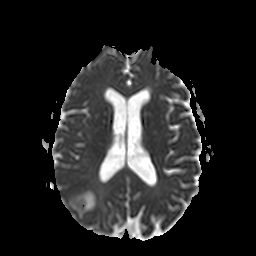
modality: 3 Tesla brain MRI | series: apparent diffusion coefficient (ADC) map | study: ring-enhancing brain masses.